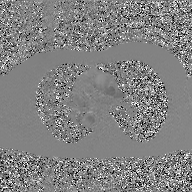
2D phase-contrast cine MRI of the ascending aorta, GAN super-resolution reconstruction.